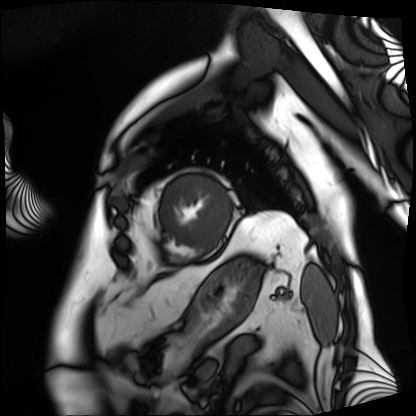
modality: cardiac MRI
subject group: patient